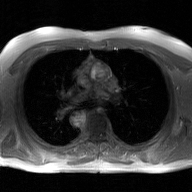
2D phase-contrast cine MRI of the ascending aorta, GAN super-resolution reconstruction.